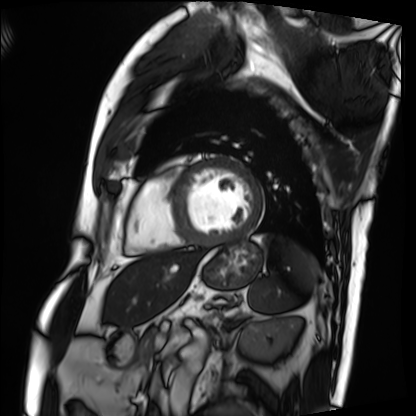
{
  "modality": "cardiac MRI",
  "cohort": "patient"
}